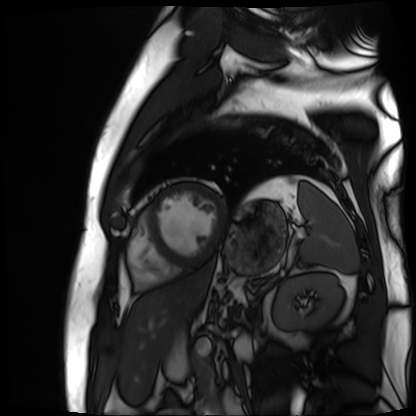
Cardiac MR image of the myocardium. Subject cohort: cardiac patient.